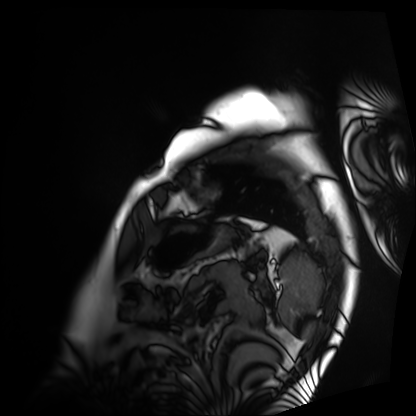
modality: cardiac MRI
cohort: patient